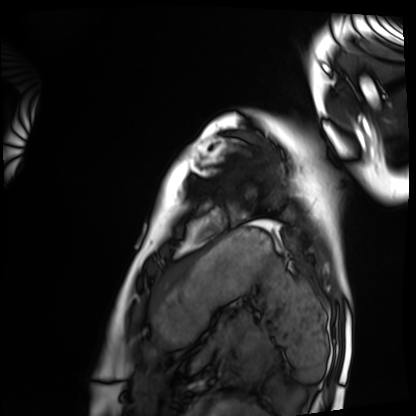
Cardiac MRI. Subject group: healthy volunteer.